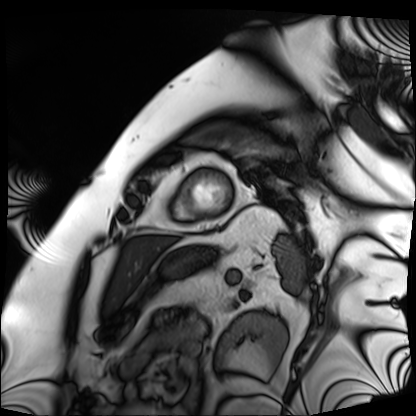
– modality · cardiac MRI
– subject group · patient